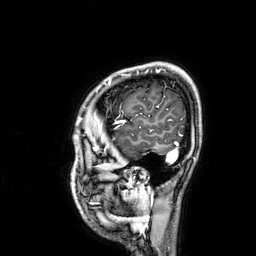
Q: What kind of scan is this?
A: 3 Tesla brain MRI.
Q: Series?
A: 3D T1-weighted.
Study: ring-enhancing brain masses.